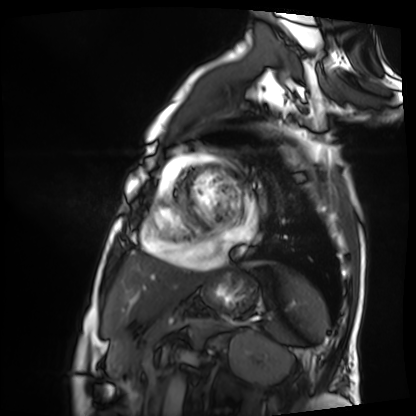
modality = cardiac MRI, subject group = patient.